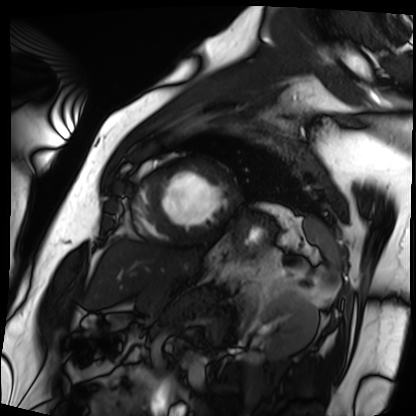
  modality: cardiac MRI
  cohort: patient